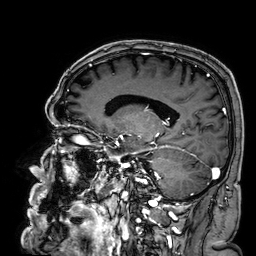
Q: What kind of scan is this?
A: 3 Tesla brain MRI.
Q: Series?
A: 3D T1-weighted.
Study: ring-enhancing brain masses.